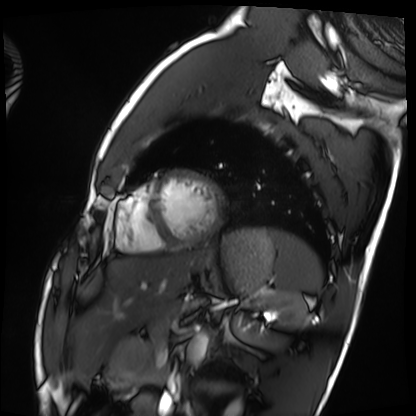
{
  "modality": "cardiac MRI",
  "cohort": "healthy volunteer"
}